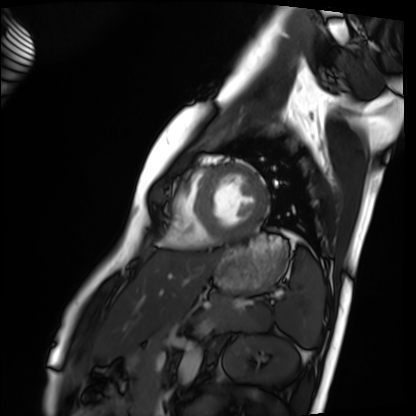
Cardiac MRI.
Subject group: healthy volunteer.